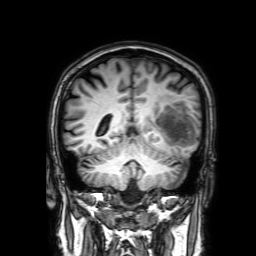
Case summary: 3 Tesla brain MRI. Series: 3D T1-weighted with SENSE. Study: ring-enhancing brain masses.